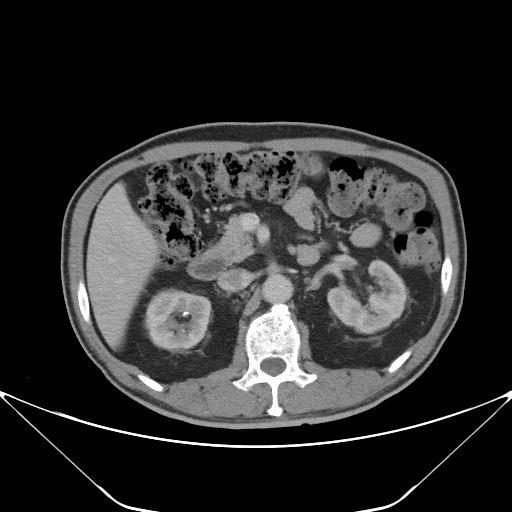
Clinical context:
Multiphase abdominal CT, liver, portal venous phase. Patient: male, age 67.